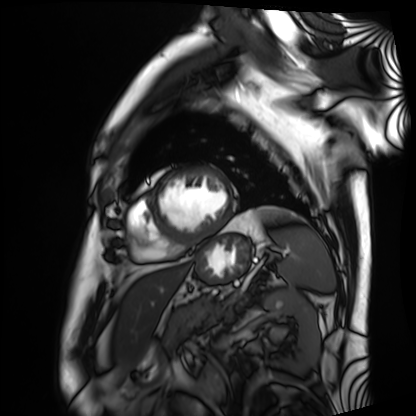
Summary:
Cardiac MRI. Subject group: patient.